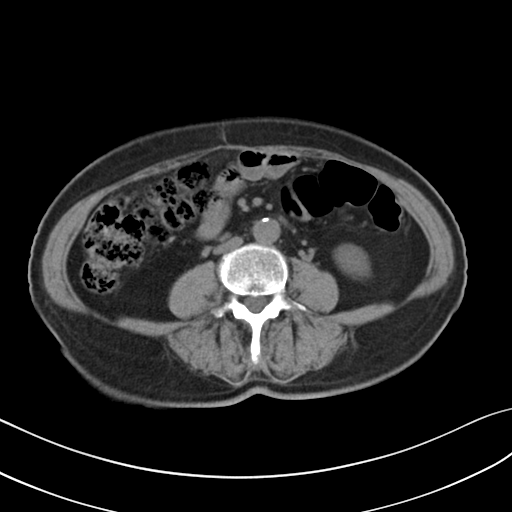
Summary:
Multiphase abdominal CT, liver, non-contrast phase. Patient: female, age 65.